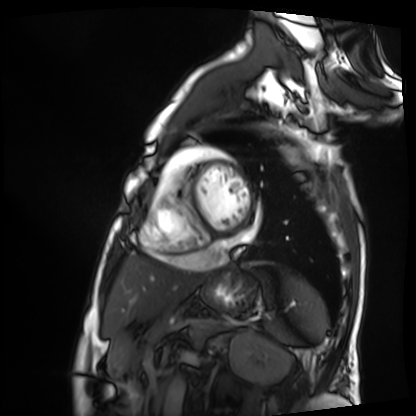
Q: What kind of scan is this?
A: Cardiac MRI.
Subject group: patient.